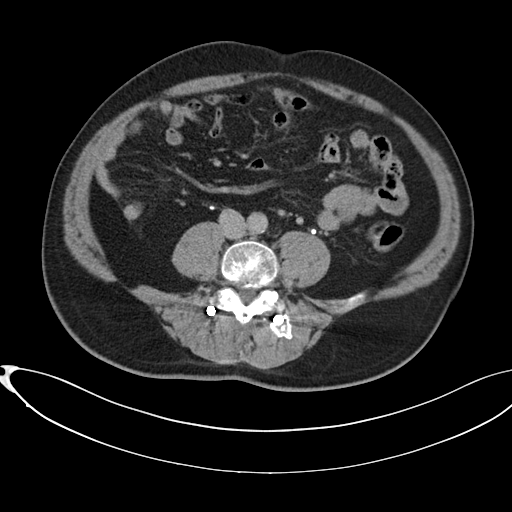
Clinical context:
Multiphase abdominal CT, liver, delayed phase. Patient: male, age 58.